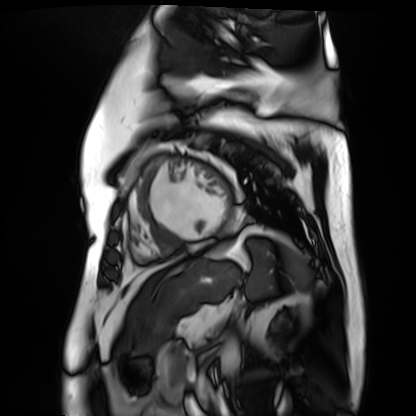
modality: cardiac MR image of the myocardium | subject cohort: cardiac patient.